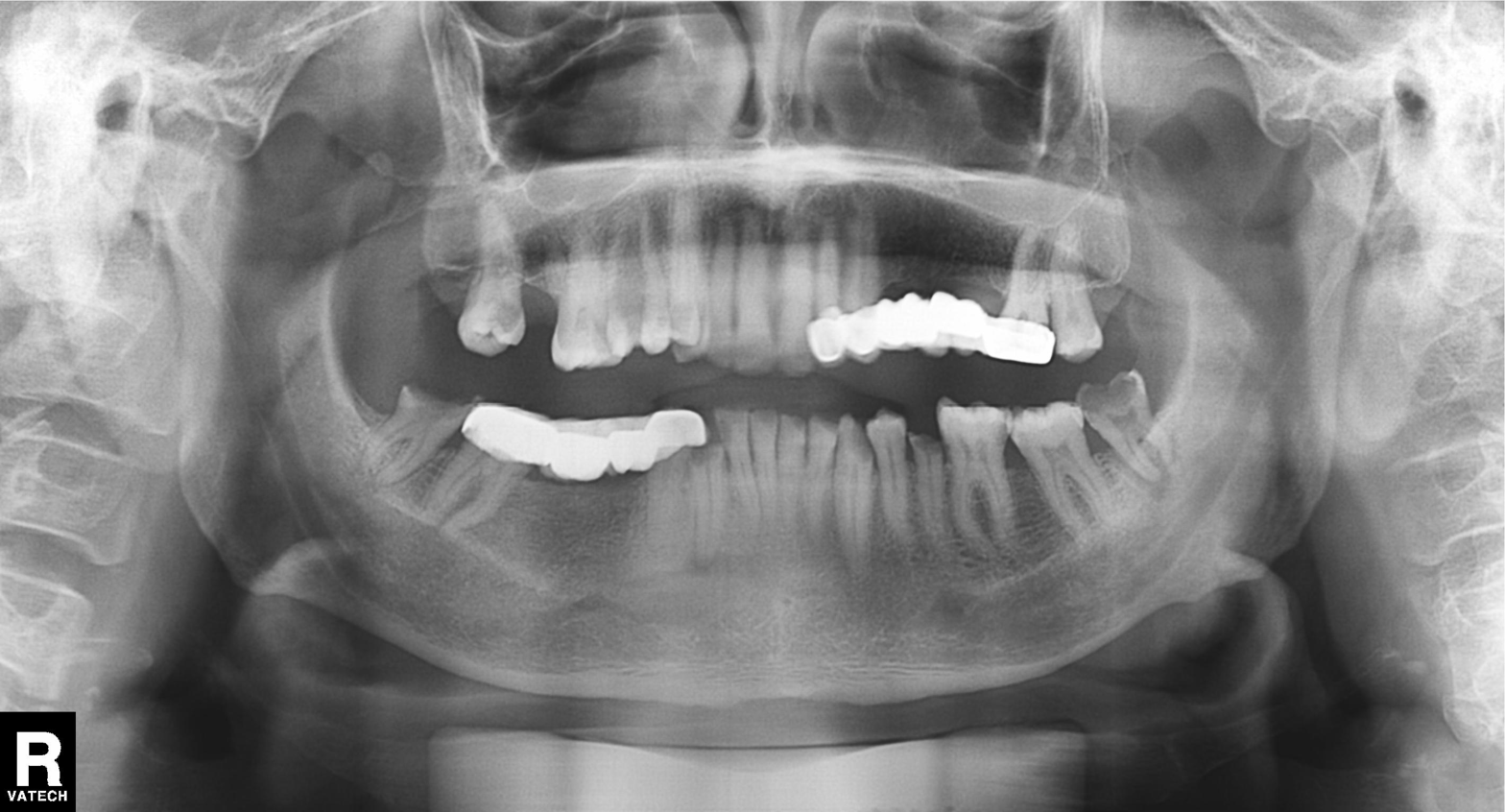
Case:
- modality · panoramic dental radiograph (orthopantomogram)
- finding · dental caries (cavities)